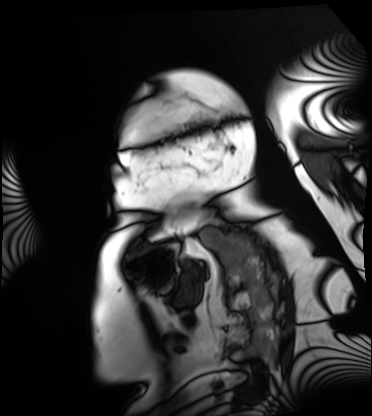
modality = cardiac MRI; subject group = patient.